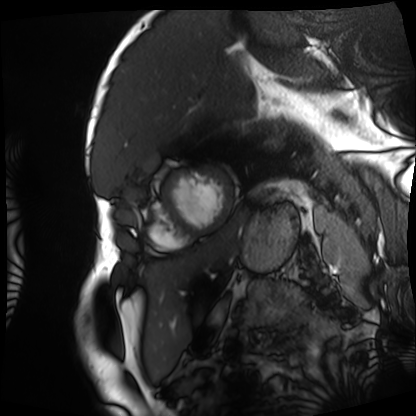
Case:
• modality — cardiac MRI
• subject group — patient